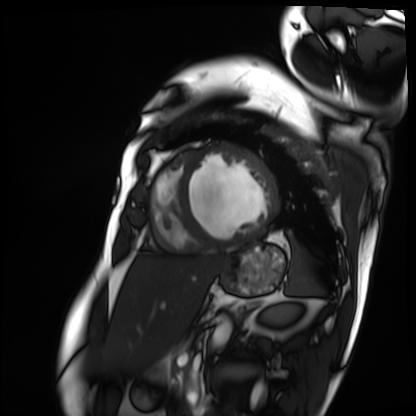
Cardiac MRI. Subject group: patient.